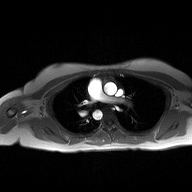
| field | value |
|---|---|
| modality | 2D phase-contrast cine MRI of the ascending aorta |